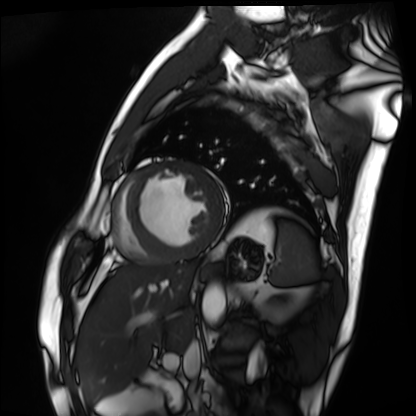
modality = cardiac MRI | subject group = patient.